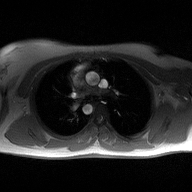
– modality: 2D phase-contrast cine MRI of the ascending aorta